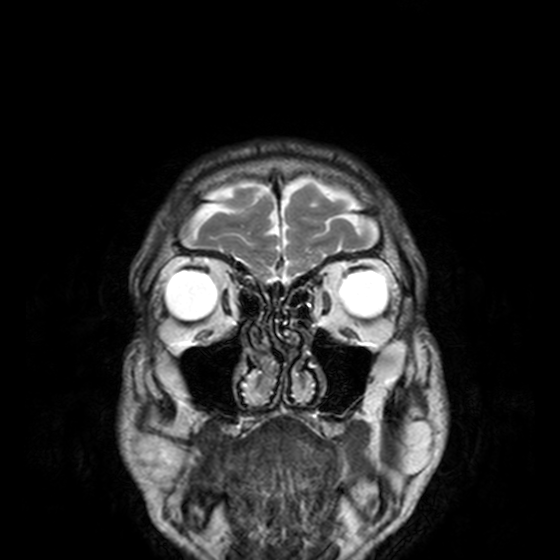
modality:
  type: brain MRI
  field_strength: 3T
series: T2-weighted turbo spin echo, 3 mm
study_topic: ring-enhancing brain masses